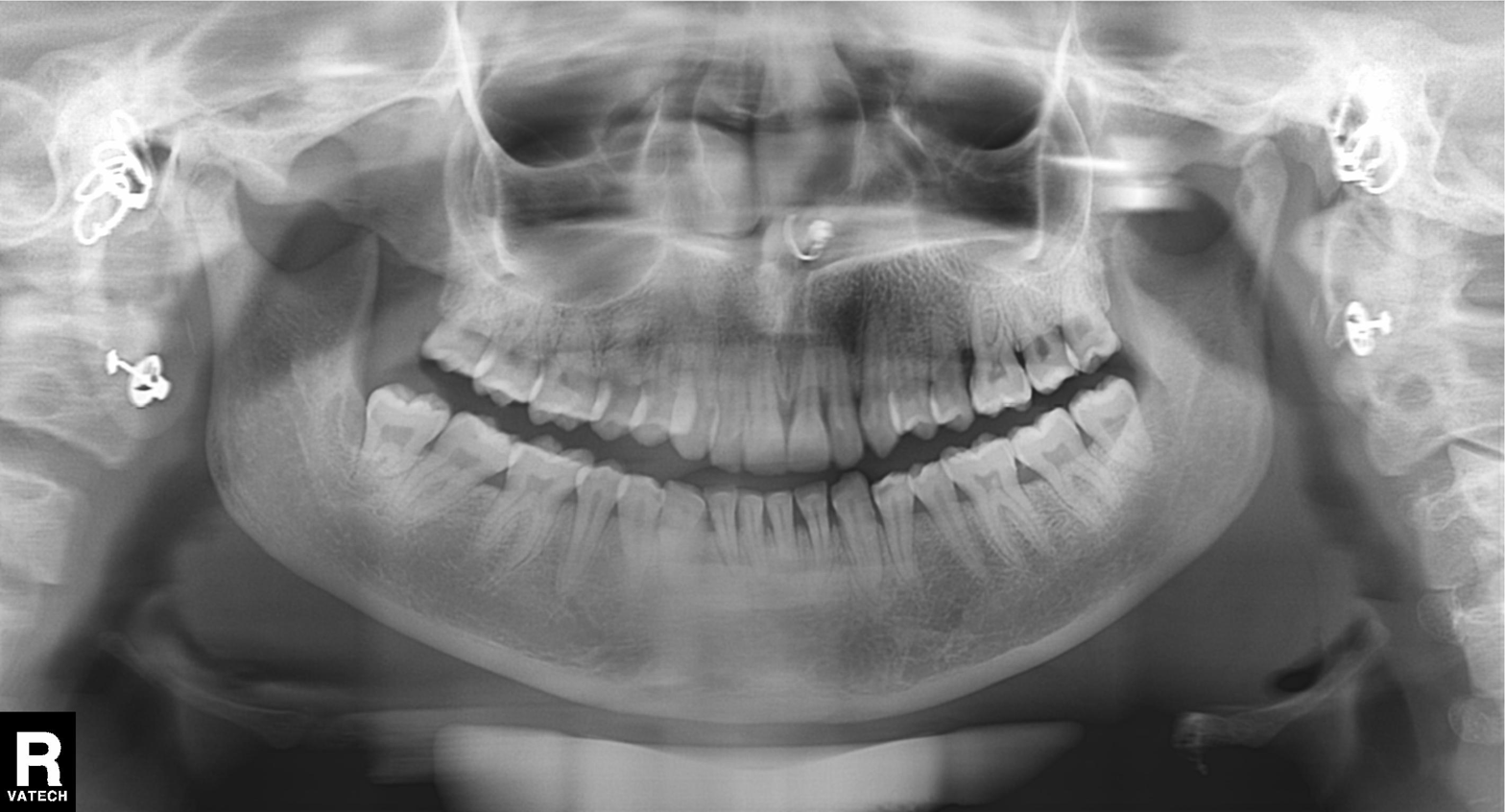
Panoramic dental radiograph (orthopantomogram). Finding: alveolar bone loss.